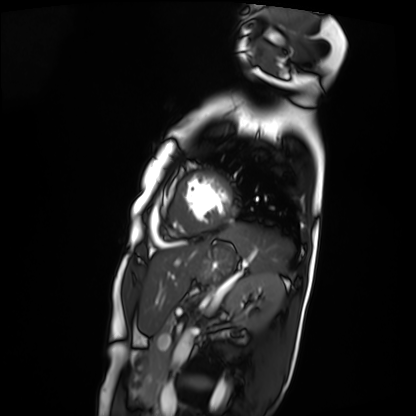
Cardiac MRI.
Subject group: patient.